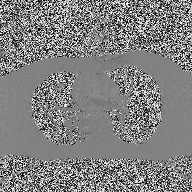
| field | value |
|---|---|
| modality | 2D phase-contrast cine MRI of the ascending aorta |